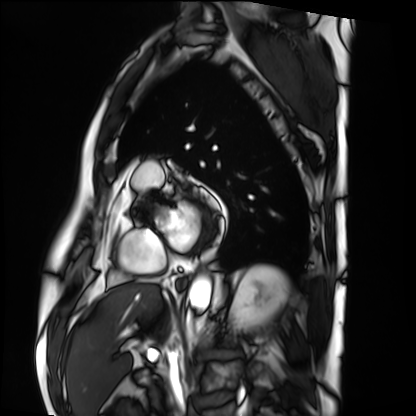
Cardiac MRI.
Subject group: patient.